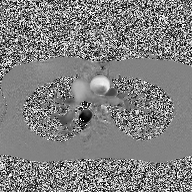
Case:
• modality — 2D phase-contrast cine MRI of the ascending aorta